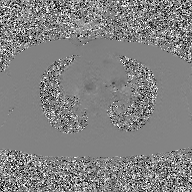
Summary: 2D phase-contrast cine MRI of the ascending aorta, GAN super-resolution reconstruction.